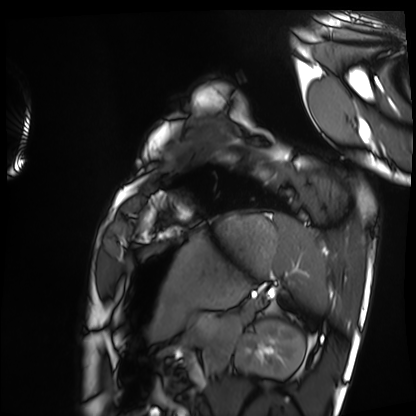
Case summary: Cardiac MRI. Subject group: healthy volunteer.